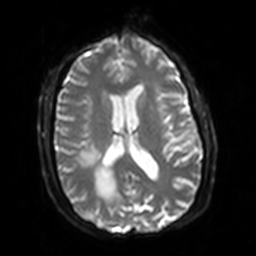
Summary: 3 Tesla brain MRI. Series: diffusion-weighted imaging with SENSE (WIP). Study: ring-enhancing brain masses.